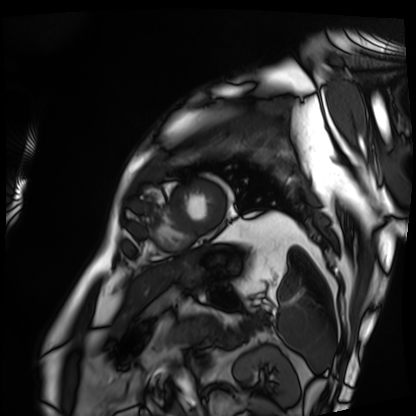
Clinical context:
Cardiac MRI. Subject group: patient.